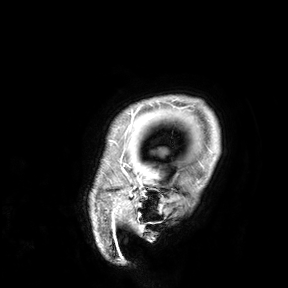
Clinical context:
3 Tesla brain MRI. Study: ring-enhancing brain masses.